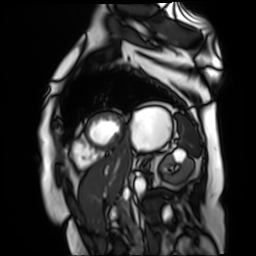
Q: What kind of scan is this?
A: Cardiac MR image of the myocardium.
Subject cohort: cardiac patient.